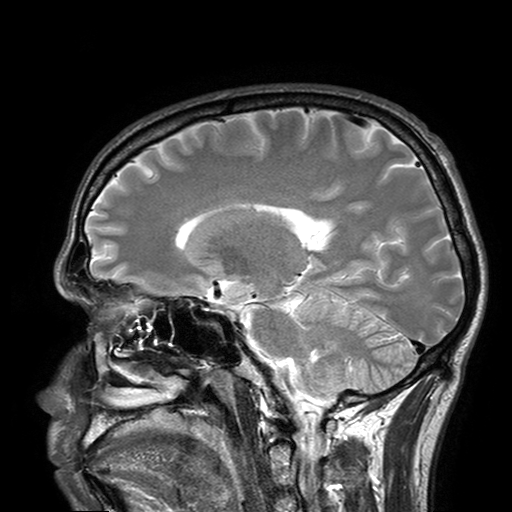
Summary:
3 Tesla brain MRI. Series: T2-weighted turbo spin echo with SENSE. Study: ring-enhancing brain masses.